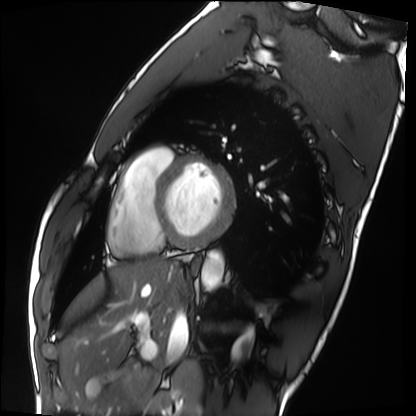
Q: What kind of scan is this?
A: Cardiac MRI.
Subject group: healthy volunteer.